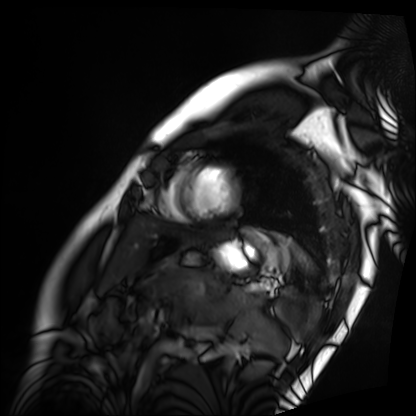
Cardiac MRI. Subject group: patient.